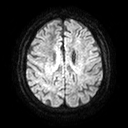
3 Tesla brain MRI.
Series: diffusion tensor imaging (medium iso).
Study: ring-enhancing brain masses.